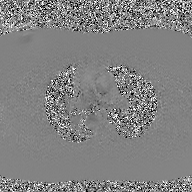
- modality — 2D phase-contrast cine MRI of the ascending aorta, GAN super-resolution reconstruction